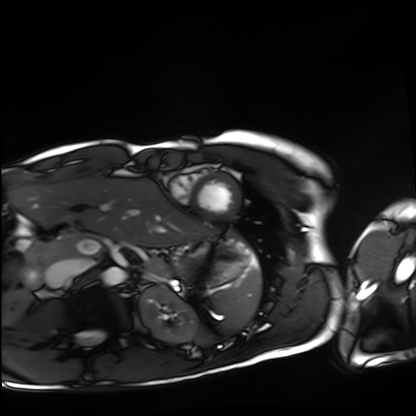
modality = cardiac MRI; subject group = healthy volunteer.